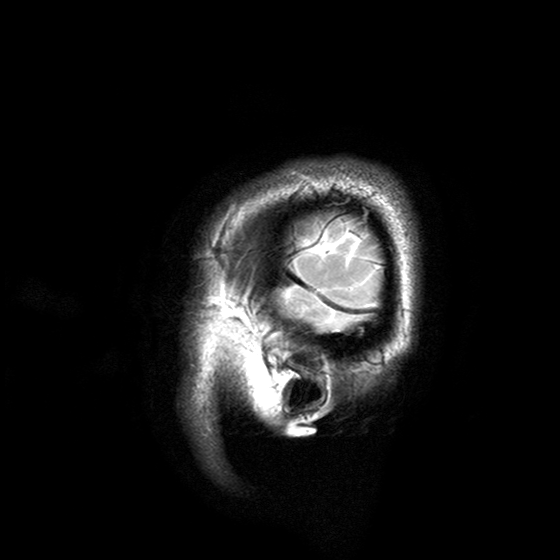
Summary:
3 Tesla brain MRI. Series: T2-weighted turbo spin echo with SENSE. Study: ring-enhancing brain masses.